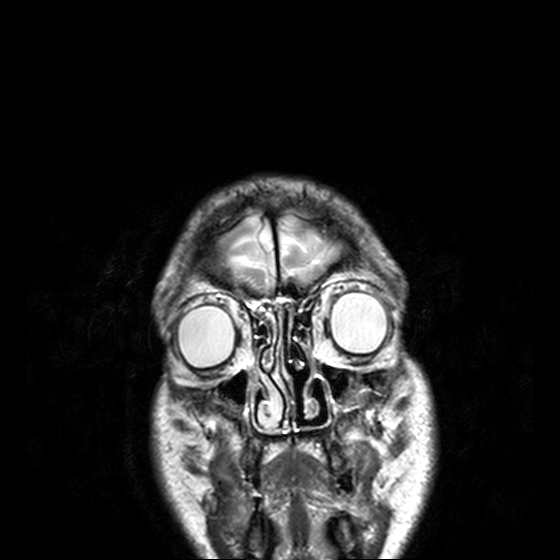
3 Tesla brain MRI.
Study: ring-enhancing brain masses.